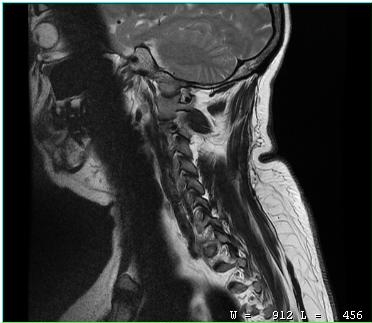
MRI of the cervical spine. Study: cervical spondylosis.